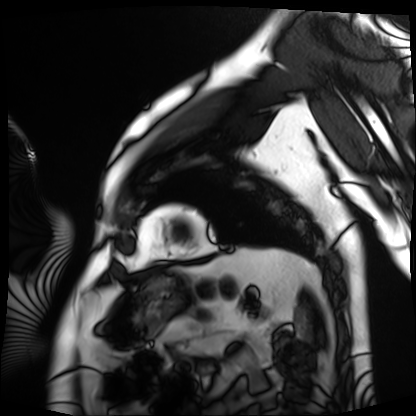
Cardiac MRI. Subject group: patient.